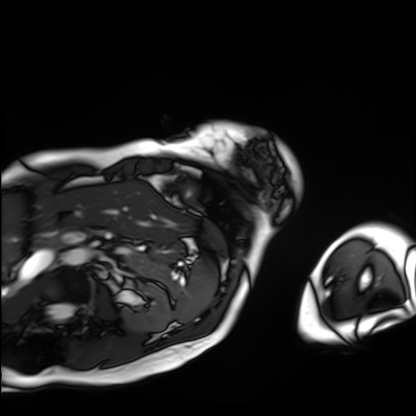
Cardiac MRI.
Subject group: patient.